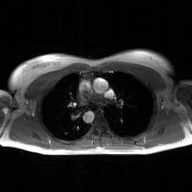
2D phase-contrast cine MRI of the ascending aorta, GAN super-resolution reconstruction.